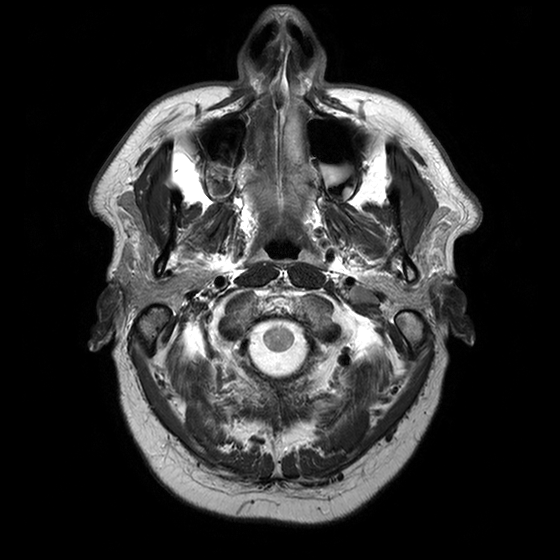
{
  "modality": {
    "type": "brain MRI",
    "field_strength": "3T"
  },
  "series": "T2-weighted turbo spin echo with CLEAR",
  "study_topic": "ring-enhancing brain masses"
}